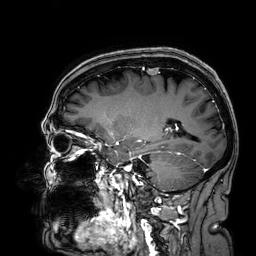
Case summary: 3 Tesla brain MRI. Series: 3D T1-weighted. Study: ring-enhancing brain masses.